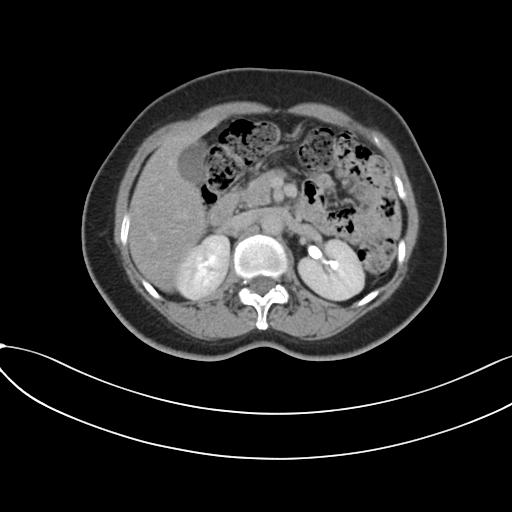
Multiphase abdominal CT, liver, delayed phase. Patient: female, age 52. History: prior chemotherapy.